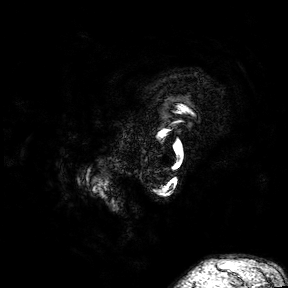
Q: What kind of scan is this?
A: 3 Tesla brain MRI.
Q: Series?
A: 3D T1-weighted turbo field echo with SENSE.
Study: ring-enhancing brain masses.